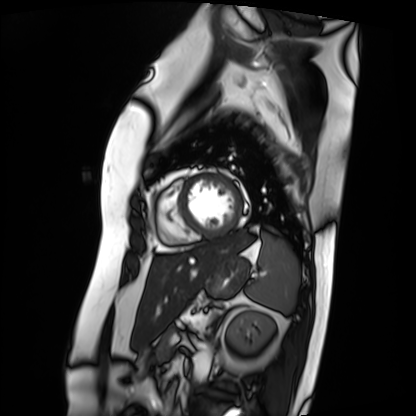
| field | value |
|---|---|
| modality | cardiac MRI |
| subject group | patient |